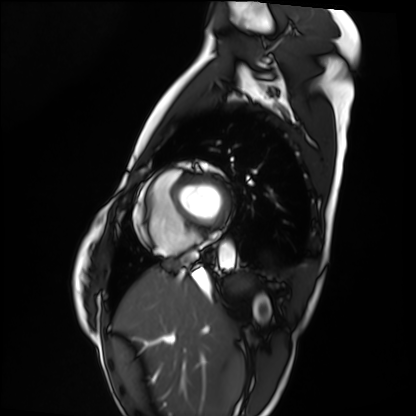
modality — cardiac MRI
subject group — healthy volunteer